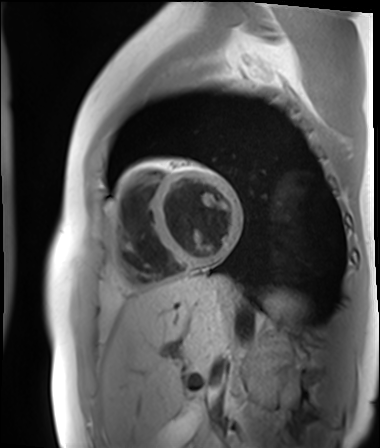
Cardiac MR image of the myocardium. Subject cohort: healthy volunteer.